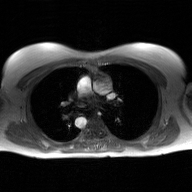
2D phase-contrast cine MRI of the ascending aorta, GAN super-resolution reconstruction.